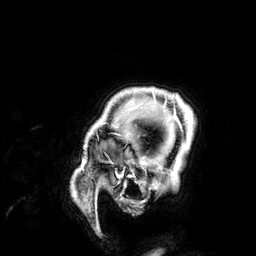
3 Tesla brain MRI. Study: ring-enhancing brain masses.